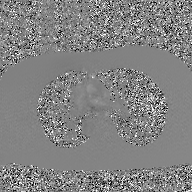
| field | value |
|---|---|
| modality | 2D phase-contrast cine MRI of the ascending aorta, GAN super-resolution reconstruction |